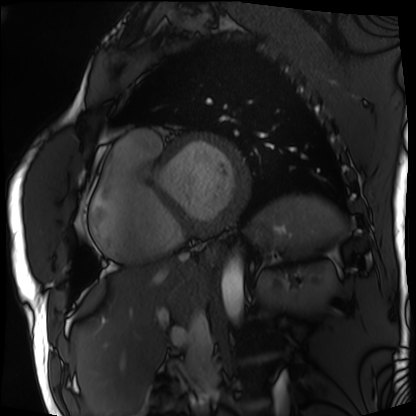
Case:
– modality · cardiac MRI
– subject group · patient